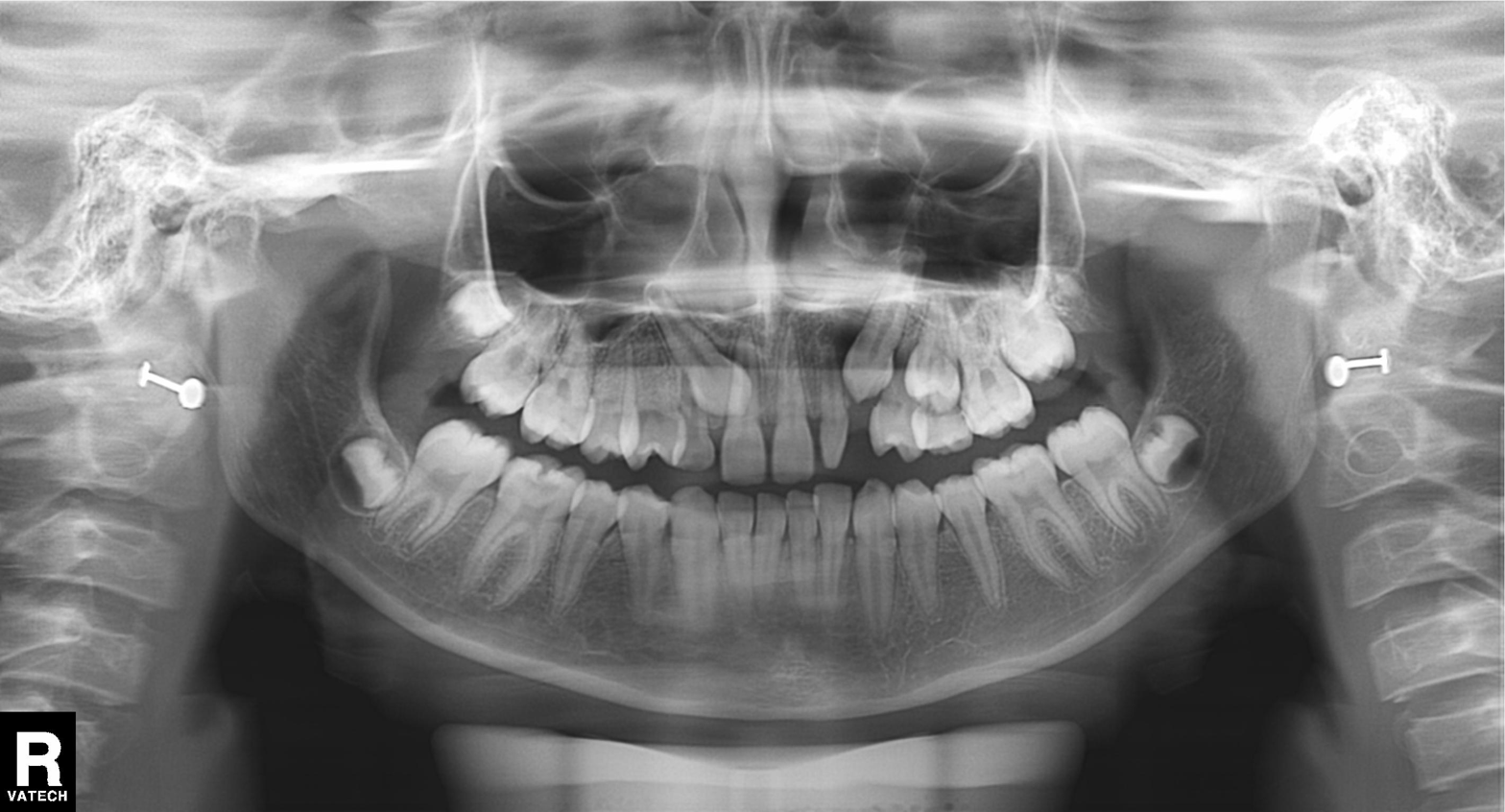
modality: panoramic dental radiograph (orthopantomogram); finding: tooth impaction.